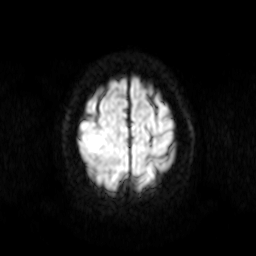
modality: 3 Tesla brain MRI; series: diffusion-weighted imaging; study: ring-enhancing brain masses.